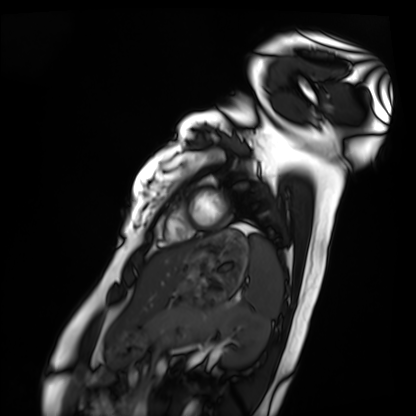
Clinical context: Cardiac MRI. Subject group: healthy volunteer.